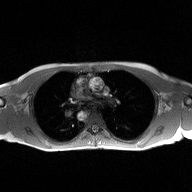
2D phase-contrast cine MRI of the ascending aorta, high-resolution GRAPPA acquisition.